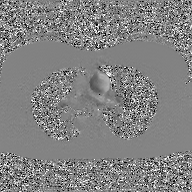
2D phase-contrast cine MRI of the ascending aorta, GAN super-resolution reconstruction.